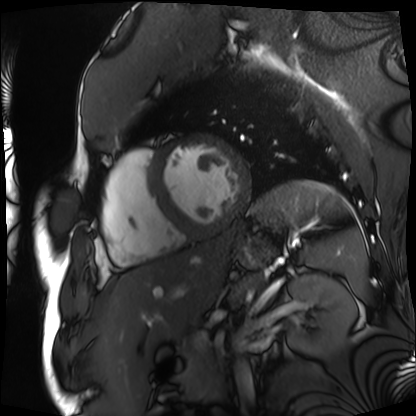
modality=cardiac MRI; subject group=patient.